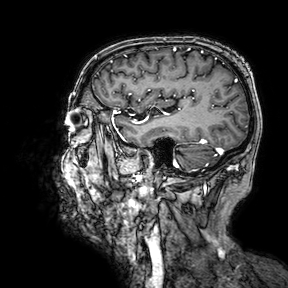
modality: 3 Tesla brain MRI | series: 3D T1-weighted turbo field echo with SENSE | study: ring-enhancing brain masses.